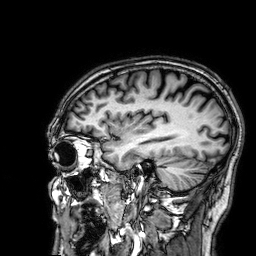
Q: What kind of scan is this?
A: 3 Tesla brain MRI.
Q: Series?
A: 3D T1-weighted.
Study: ring-enhancing brain masses.